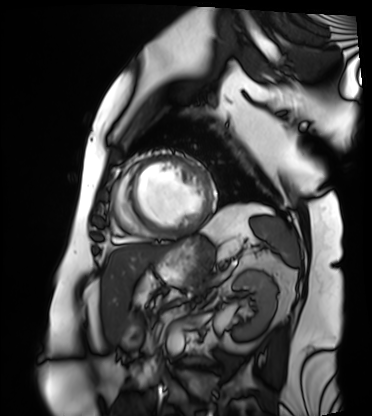
Case summary: Cardiac MRI. Subject group: patient.